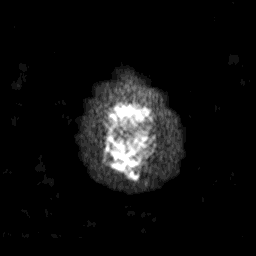
modality = 3 Tesla brain MRI
study = ring-enhancing brain masses